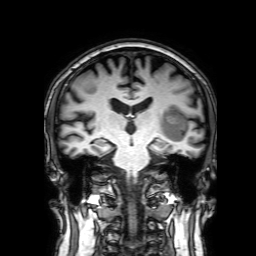
Summary: 3 Tesla brain MRI. Series: 3D T1-weighted with SENSE. Study: ring-enhancing brain masses.